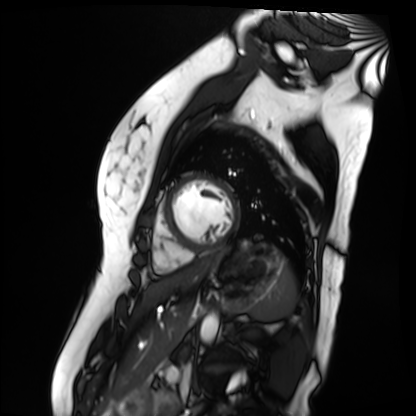
Clinical context:
Cardiac MR image of the myocardium. Subject cohort: healthy volunteer.